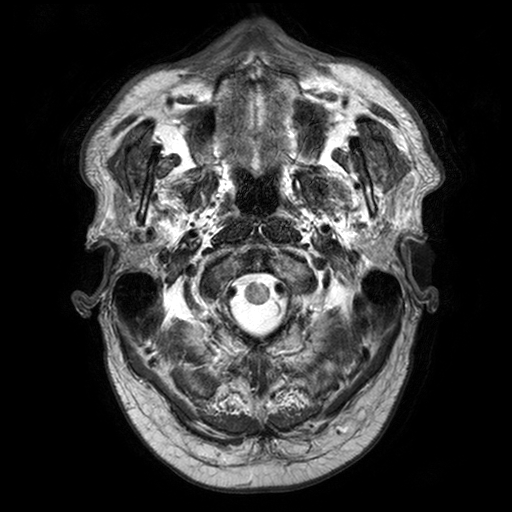
modality = 3 Tesla brain MRI | series = T2-weighted turbo spin echo with SENSE | study = ring-enhancing brain masses.